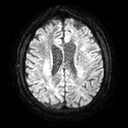
modality: 3 Tesla brain MRI
series: diffusion tensor imaging (medium iso)
study: ring-enhancing brain masses